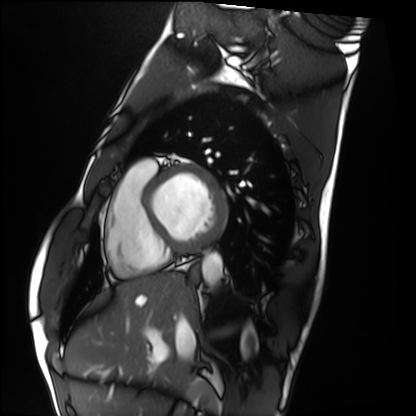
{
  "modality": "cardiac MRI",
  "cohort": "healthy volunteer"
}